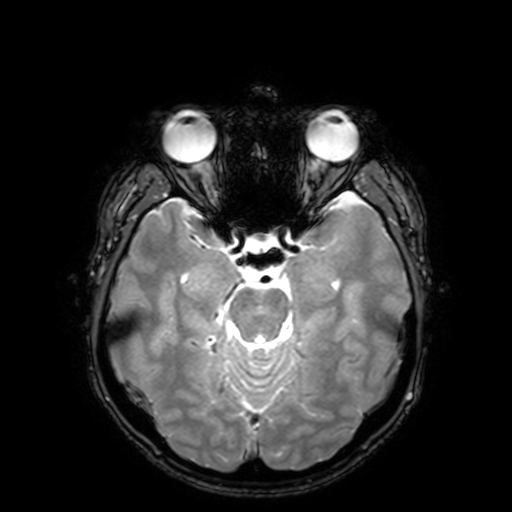
modality — 3 Tesla brain MRI; series — T2-weighted fast field echo with SENSE; study — ring-enhancing brain masses.